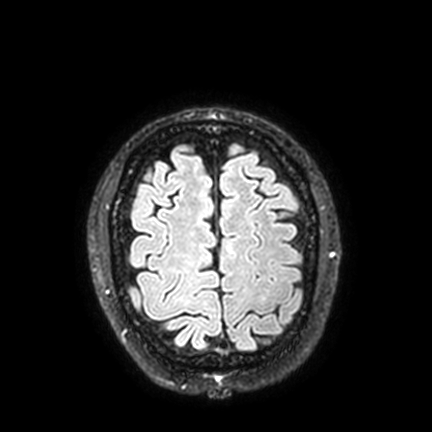
3 Tesla brain MRI.
Series: FLAIR VISTA with SENSE.
Study: ring-enhancing brain masses.